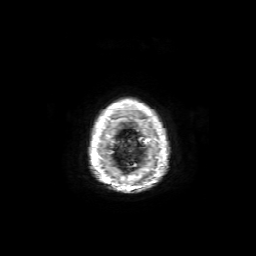
{"modality": {"type": "brain MRI", "field_strength": "3T"}, "series": "axial T1-weighted fusion image", "study_topic": "ring-enhancing brain masses"}